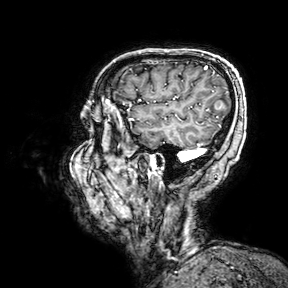
3 Tesla brain MRI.
Series: 3D T1-weighted turbo field echo with SENSE.
Study: ring-enhancing brain masses.